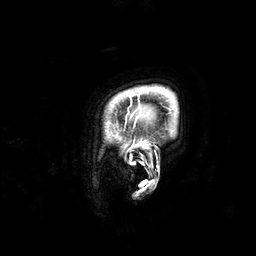
3 Tesla brain MRI. Study: ring-enhancing brain masses.